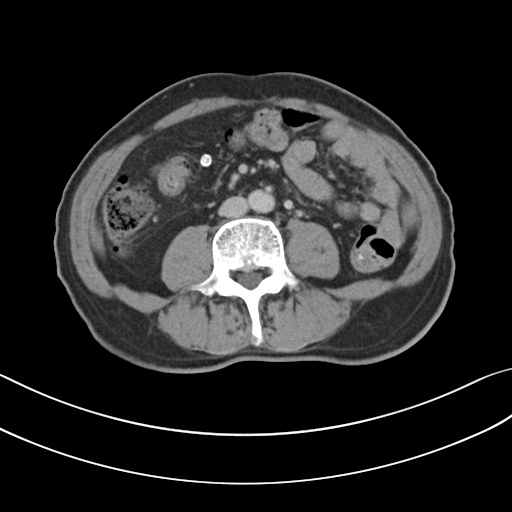
Clinical context: Multiphase abdominal CT, liver, portal venous phase. Patient: male, age 72. History: prior chemotherapy.